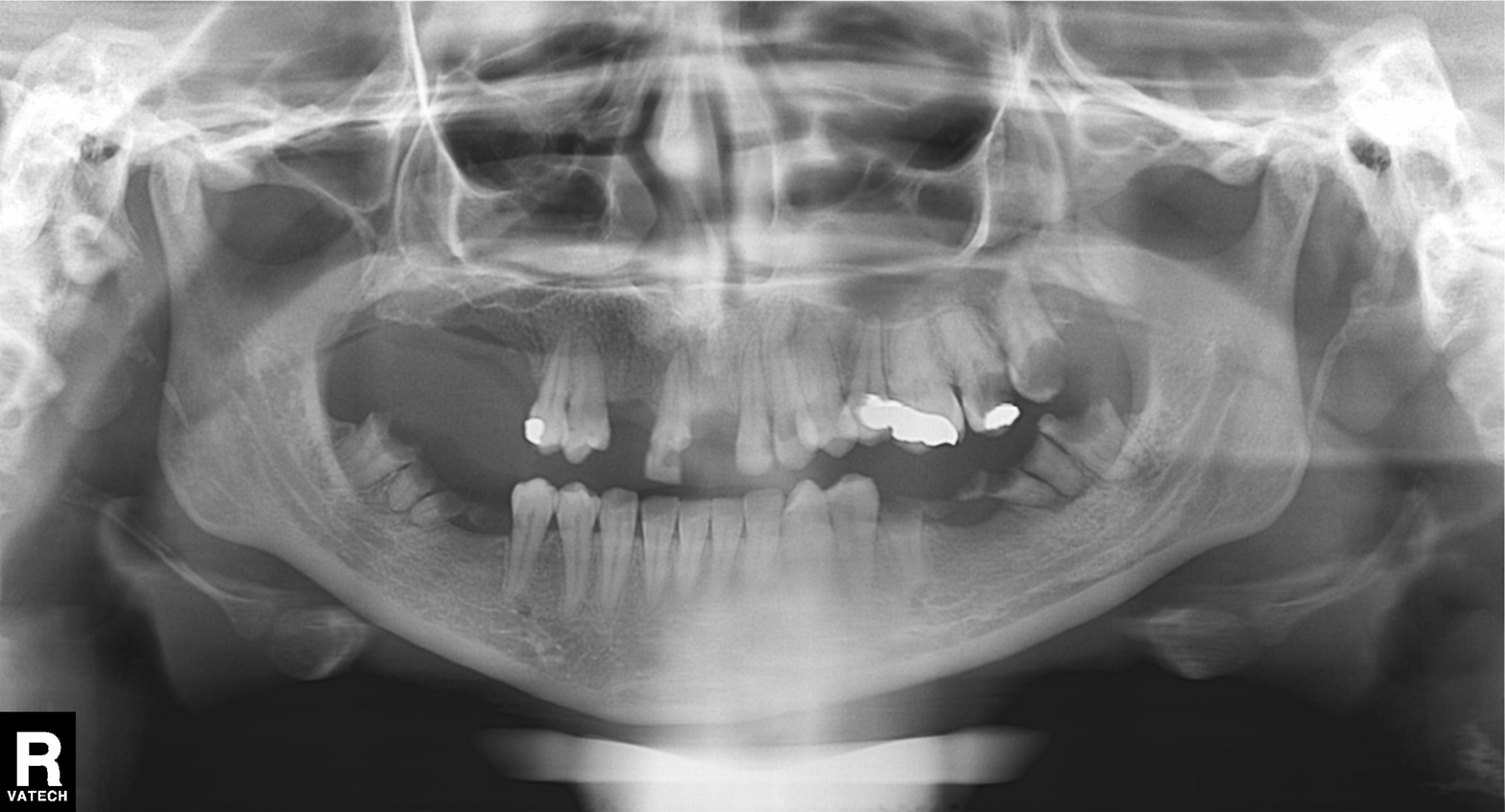
Q: What kind of scan is this?
A: Panoramic dental radiograph (orthopantomogram).
Q: What is the radiographic finding?
A: Dental caries (cavities).